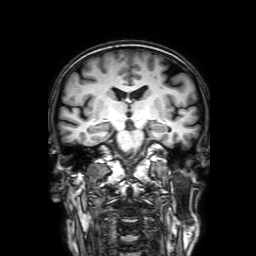
modality: 3 Tesla brain MRI | series: 3D T1-weighted with SENSE | study: ring-enhancing brain masses.